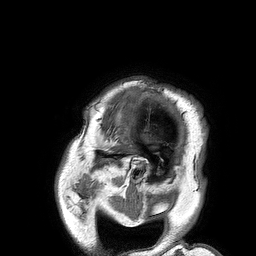
modality — 3 Tesla brain MRI | series — 3D T1-weighted turbo field echo | study — ring-enhancing brain masses.